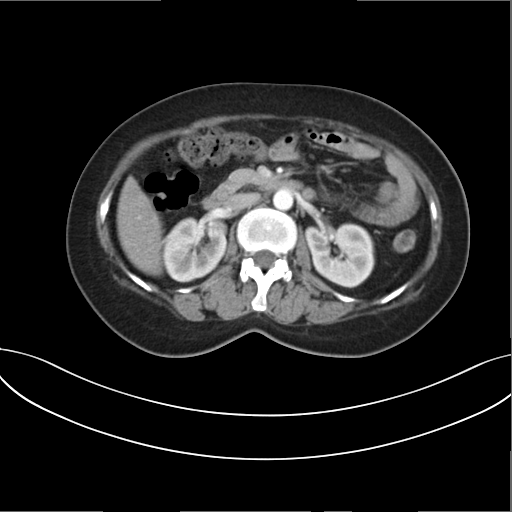
Multiphase abdominal CT, liver, arterial phase.